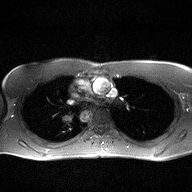
2D phase-contrast cine MRI of the ascending aorta, high-resolution GRAPPA acquisition.